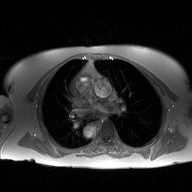
Summary:
2D phase-contrast cine MRI of the ascending aorta, high-resolution GRAPPA acquisition.